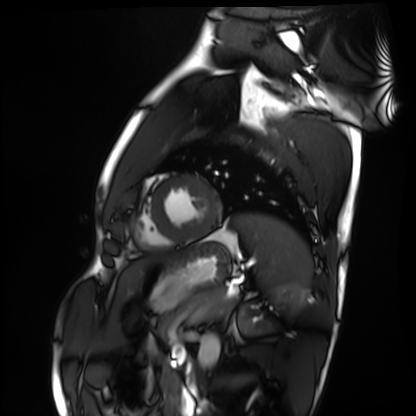
Cardiac MRI.
Subject group: healthy volunteer.